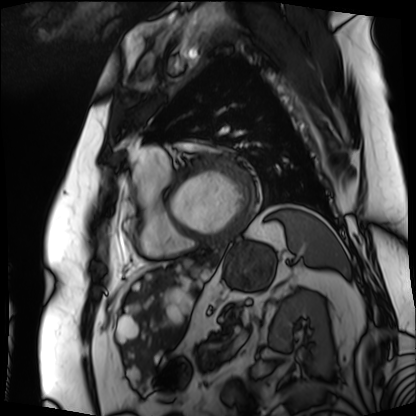
modality: cardiac MRI
subject group: patient